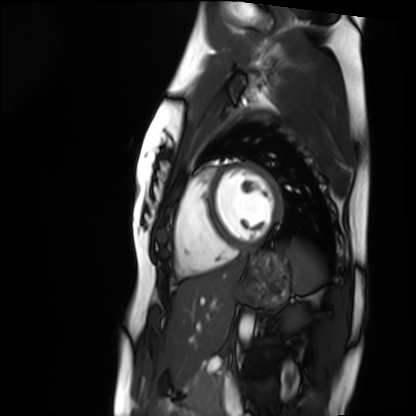
modality = cardiac MRI
subject group = healthy volunteer